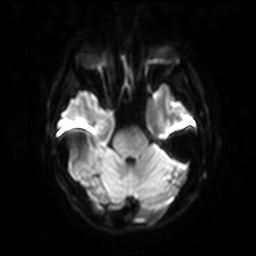
Clinical context: 3 Tesla brain MRI. Series: diffusion-weighted imaging with SENSE (WIP). Study: ring-enhancing brain masses.